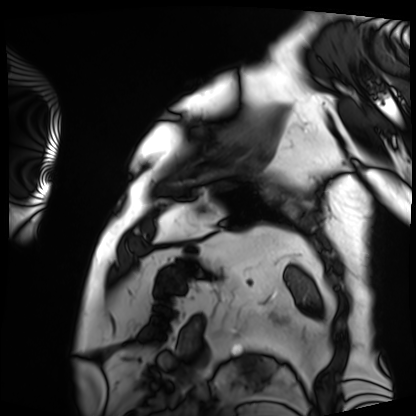
Cardiac MRI.
Subject group: patient.